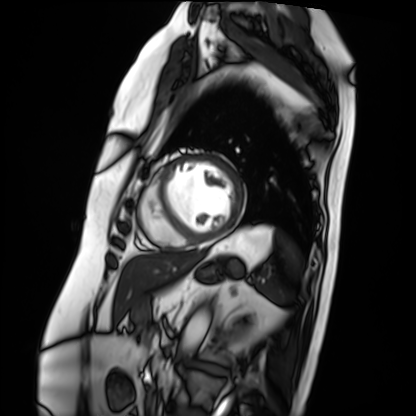
Clinical context: Cardiac MRI. Subject group: patient.